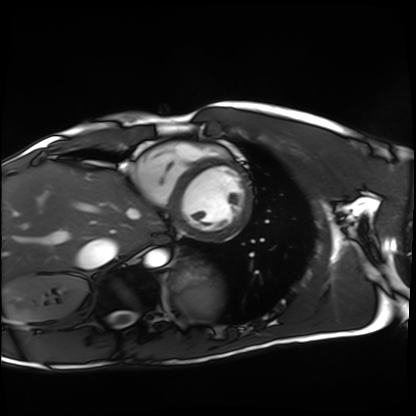
Case summary:
Cardiac MRI. Subject group: healthy volunteer.